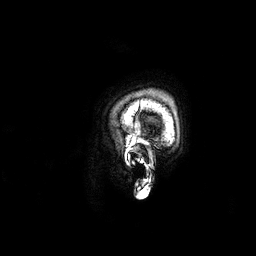
3 Tesla brain MRI. Series: 3D T1-weighted. Study: ring-enhancing brain masses.